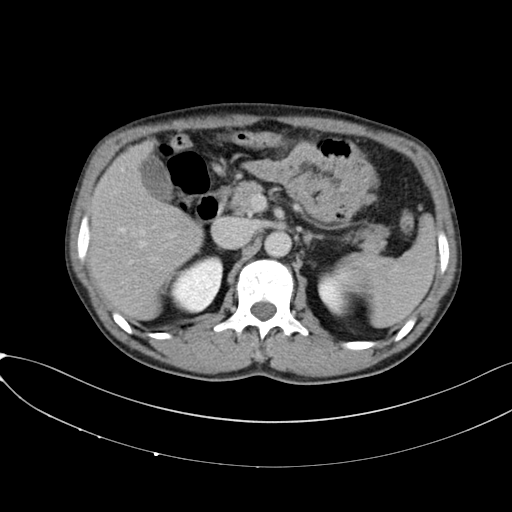
Multiphase abdominal CT, liver, delayed phase.
Patient: male, age 50.